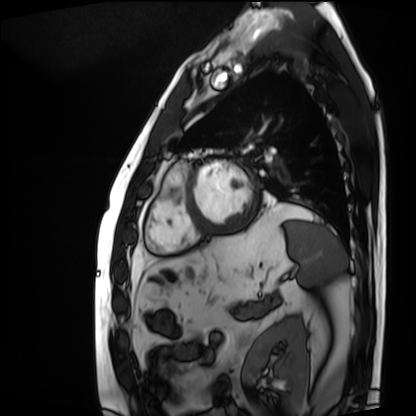
Summary: Cardiac MRI. Subject group: patient.